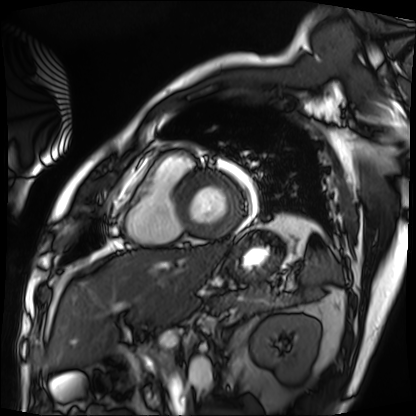
Case summary: Cardiac MRI. Subject group: patient.